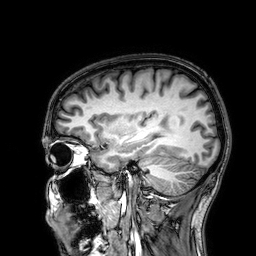
3 Tesla brain MRI.
Series: 3D T1-weighted.
Study: ring-enhancing brain masses.